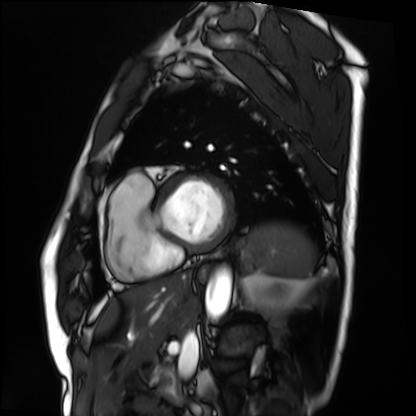
Cardiac MRI. Subject group: patient.